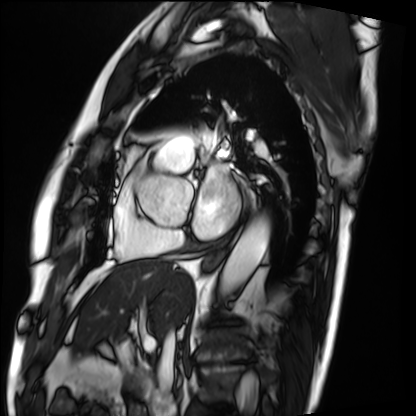
Cardiac MRI. Subject group: patient.